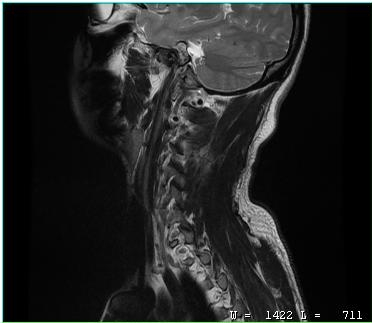
• modality · MRI of the cervical spine
• study · cervical spondylosis